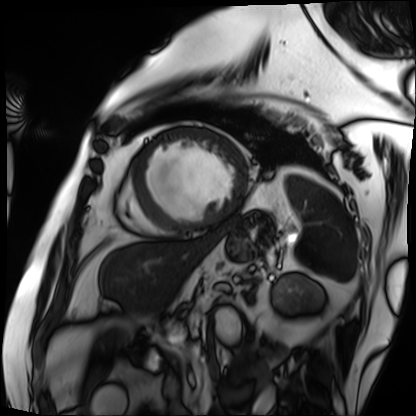
modality=cardiac MRI | subject group=patient.